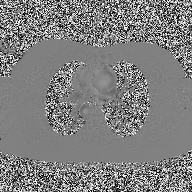
Summary: 2D phase-contrast cine MRI of the ascending aorta, high-resolution GRAPPA acquisition.